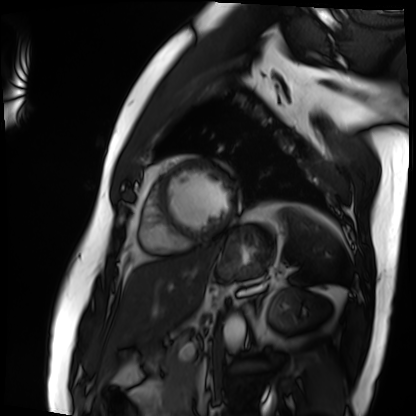
| field | value |
|---|---|
| modality | cardiac MRI |
| subject group | patient |